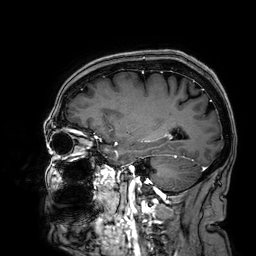
3 Tesla brain MRI.
Series: 3D T1-weighted.
Study: ring-enhancing brain masses.